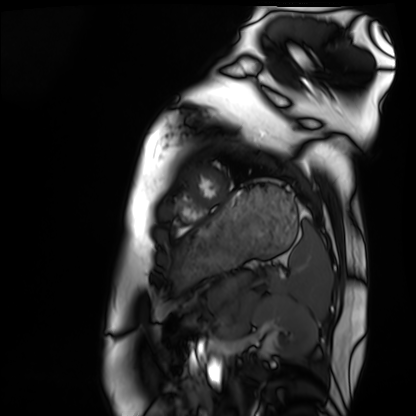
modality = cardiac MRI; subject group = healthy volunteer.